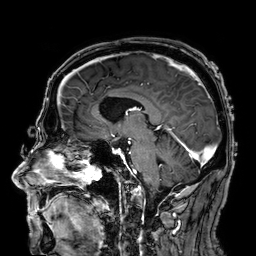
3 Tesla brain MRI. Series: 3D T1-weighted. Study: ring-enhancing brain masses.